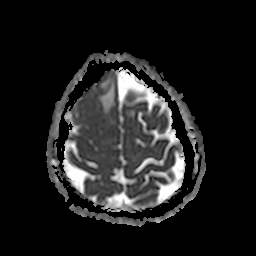
Summary:
3 Tesla brain MRI. Series: apparent diffusion coefficient (ADC) map. Study: ring-enhancing brain masses.